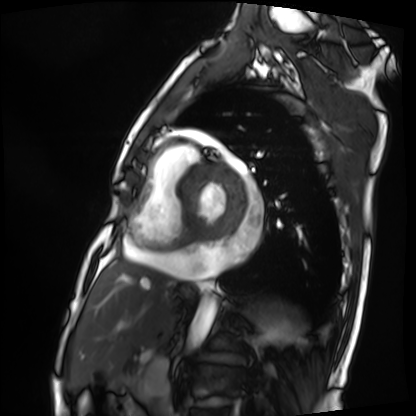
Cardiac MRI. Subject group: patient.